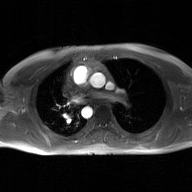
2D phase-contrast cine MRI of the ascending aorta, GAN super-resolution reconstruction.